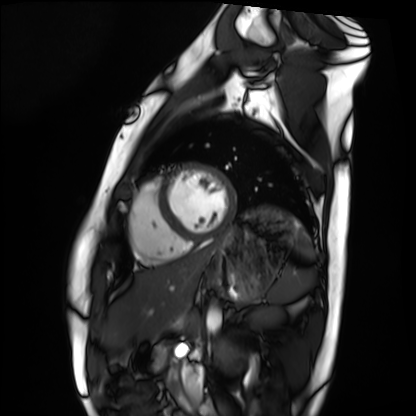
Case:
– modality — cardiac MRI
– subject group — healthy volunteer